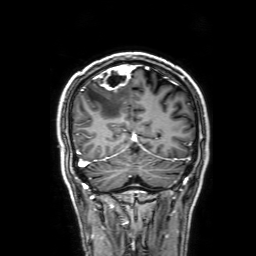
3 Tesla brain MRI. Series: 3D T1-weighted with SENSE. Study: ring-enhancing brain masses.